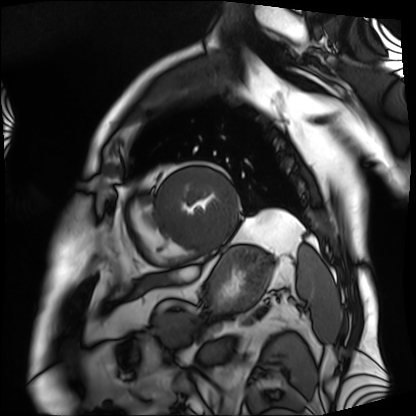
modality: cardiac MRI
cohort: patient